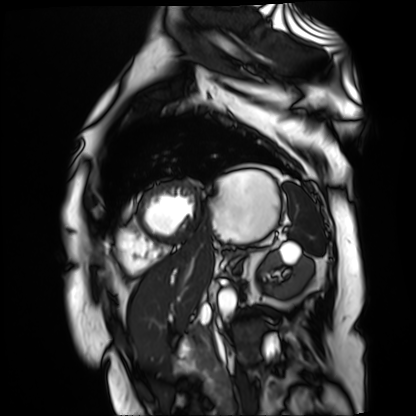
Cardiac MR image of the myocardium. Subject cohort: cardiac patient.